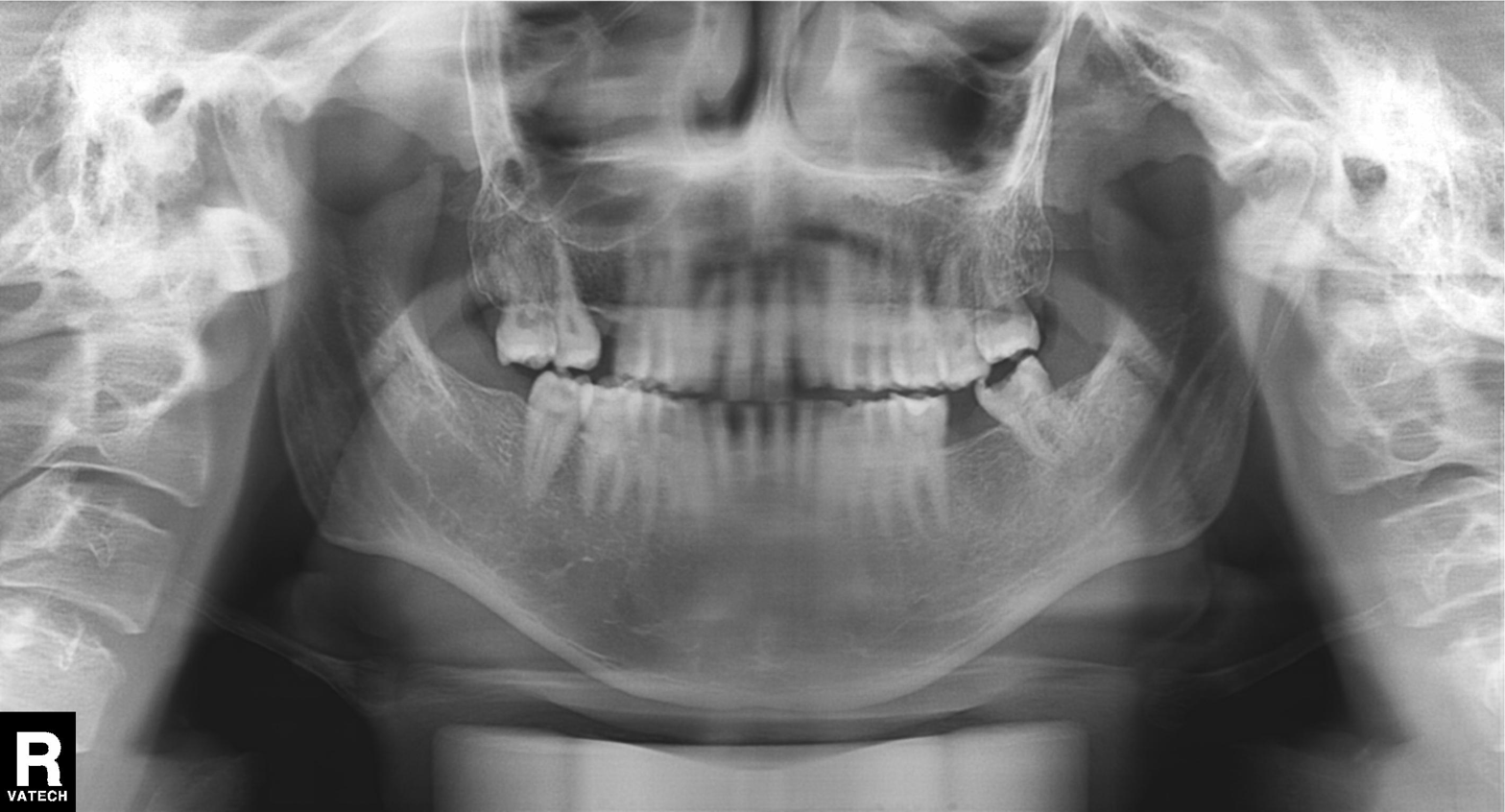
Findings:
• modality — panoramic dental radiograph (orthopantomogram)
• finding — tooth impaction